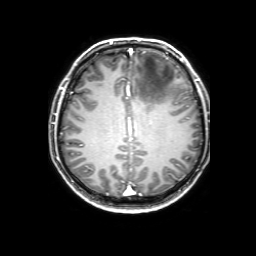
Case:
* modality: 3 Tesla brain MRI
* series: 3D T1-weighted with SENSE
* study: ring-enhancing brain masses